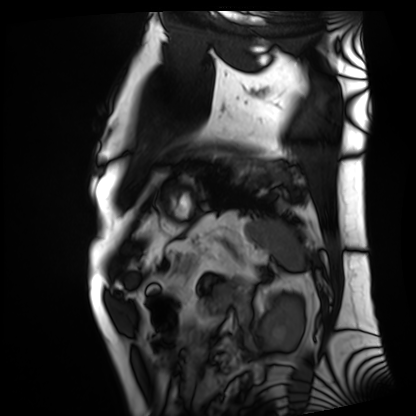
Cardiac MRI. Subject group: patient.